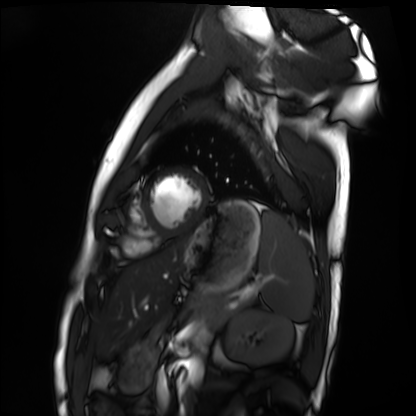
modality — cardiac MRI
subject group — healthy volunteer